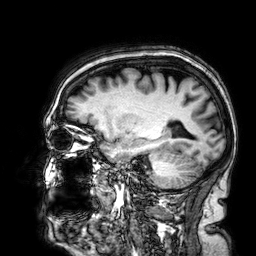
3 Tesla brain MRI.
Series: 3D T1-weighted.
Study: ring-enhancing brain masses.